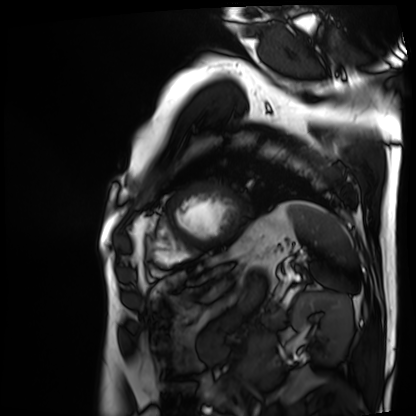
* modality: cardiac MRI
* subject group: patient